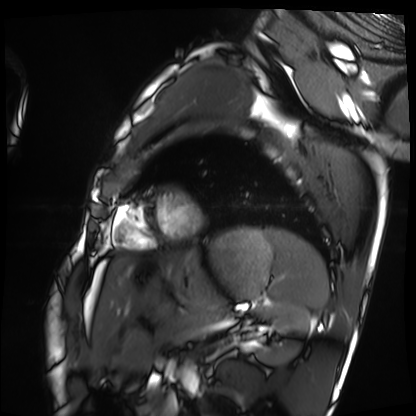
- modality — cardiac MRI
- subject group — healthy volunteer